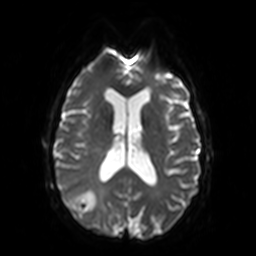
Case summary:
3 Tesla brain MRI. Series: diffusion-weighted imaging. Study: ring-enhancing brain masses.